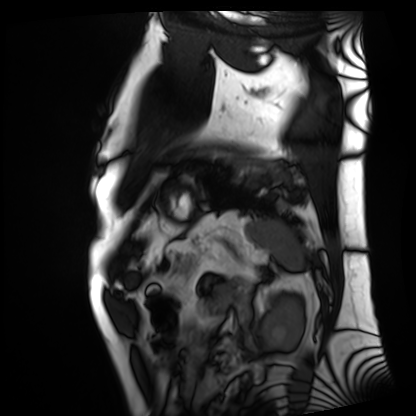
modality: cardiac MRI
cohort: patient